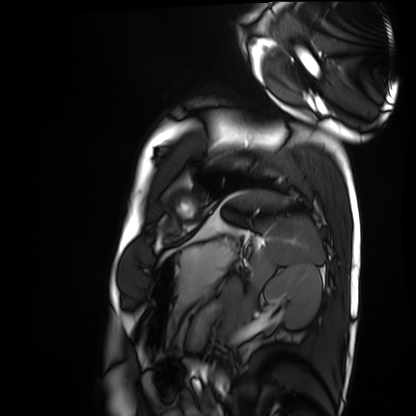
Cardiac MRI. Subject group: healthy volunteer.